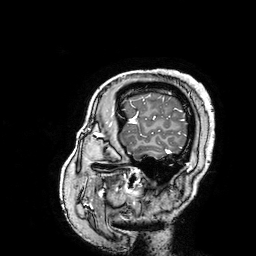
Case:
- modality: 3 Tesla brain MRI
- series: 3D T1-weighted turbo field echo with SENSE
- study: ring-enhancing brain masses